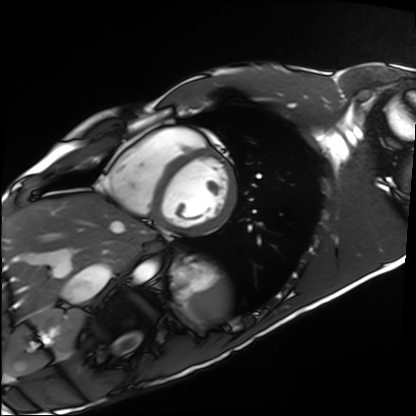
Cardiac MRI.
Subject group: healthy volunteer.